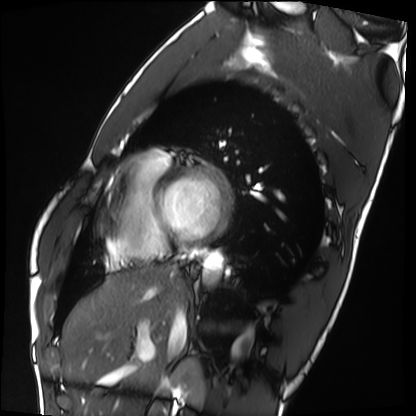
Cardiac MRI. Subject group: healthy volunteer.